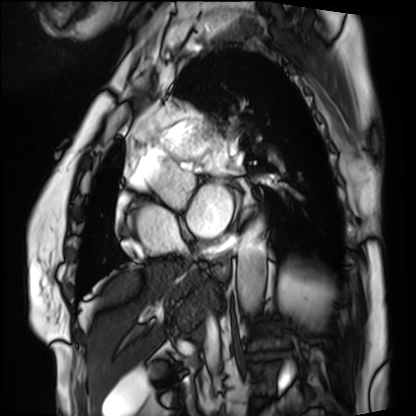
Summary:
Cardiac MRI. Subject group: patient.